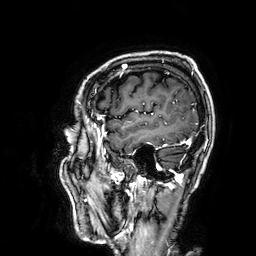
3 Tesla brain MRI. Series: 3D T1-weighted. Study: ring-enhancing brain masses.